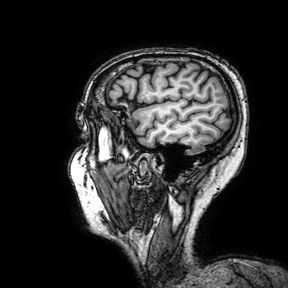
3 Tesla brain MRI. Series: 3D T1-weighted turbo field echo with SENSE. Study: ring-enhancing brain masses.